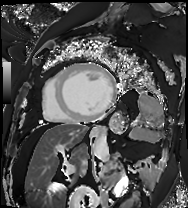
Cardiac MRI.
Subject group: patient.